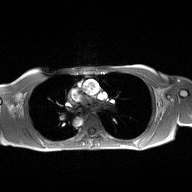
2D phase-contrast cine MRI of the ascending aorta, high-resolution GRAPPA acquisition.